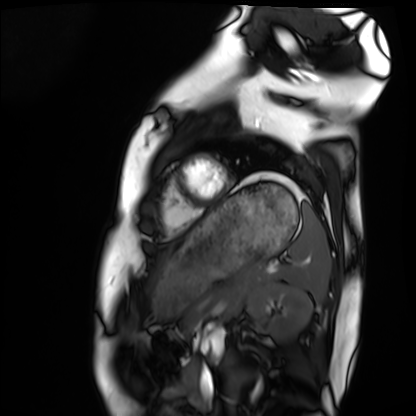
modality — cardiac MRI
subject group — healthy volunteer